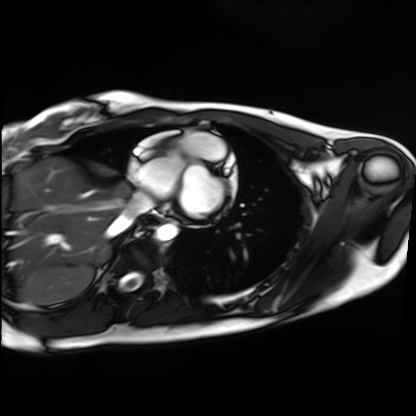
modality: cardiac MRI, subject group: healthy volunteer.